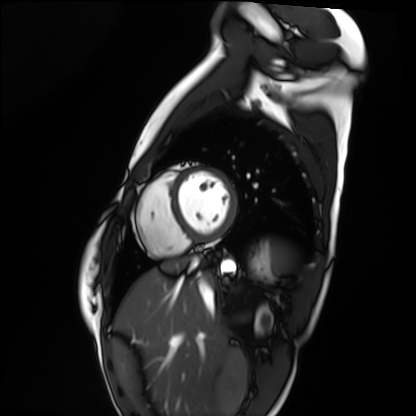
modality: cardiac MRI; subject group: healthy volunteer.